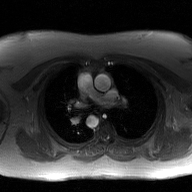
modality: 2D phase-contrast cine MRI of the ascending aorta, GAN super-resolution reconstruction.